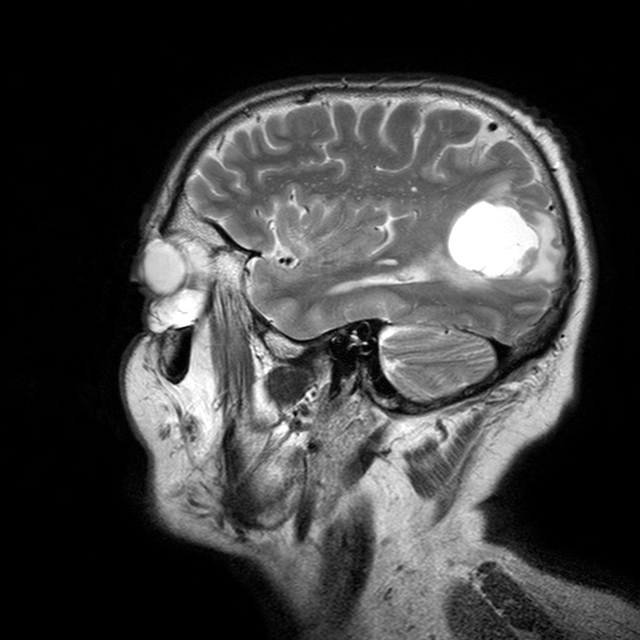
3 Tesla brain MRI. Series: T2-weighted turbo spin echo with CLEAR. Study: ring-enhancing brain masses.